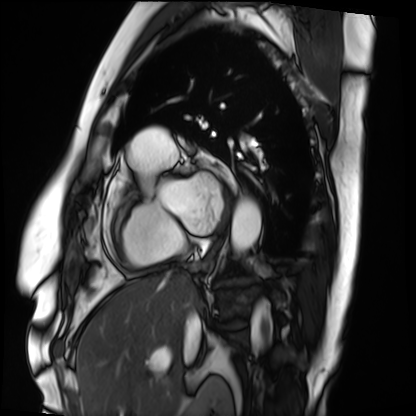
modality = cardiac MRI
subject group = patient